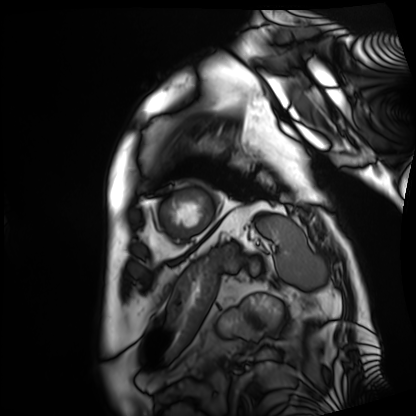
modality = cardiac MRI; subject group = patient.